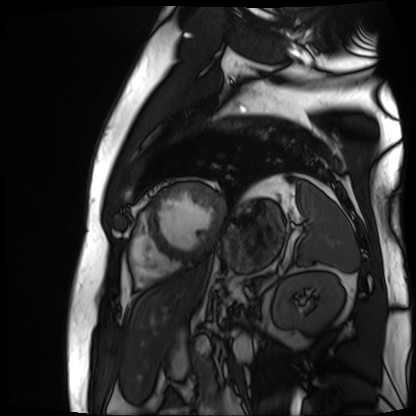
Cardiac MR image of the myocardium.
Subject cohort: cardiac patient.